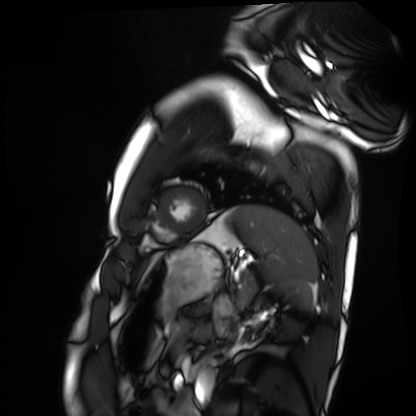
Summary:
Cardiac MRI. Subject group: healthy volunteer.